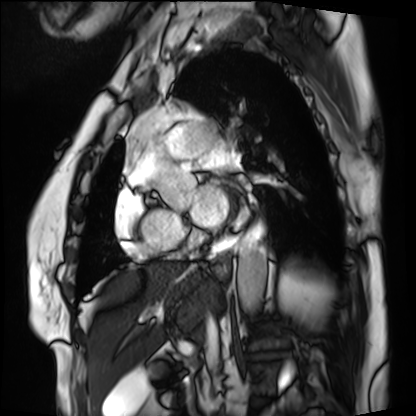
{
  "modality": "cardiac MRI",
  "cohort": "patient"
}